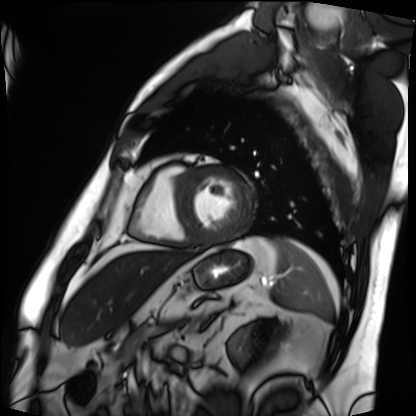
Q: What kind of scan is this?
A: Cardiac MRI.
Subject group: patient.